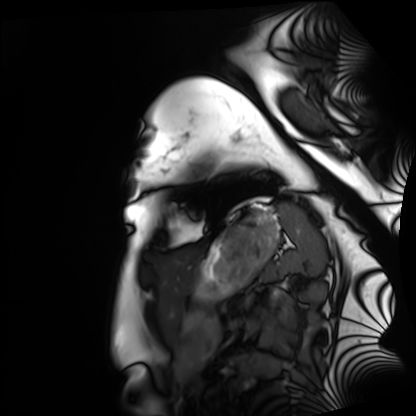
Case:
* modality: cardiac MRI
* subject group: healthy volunteer